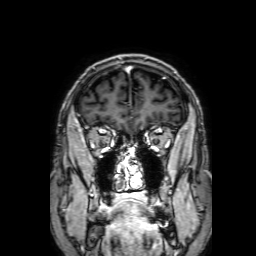
3 Tesla brain MRI.
Series: 3D T1-weighted with SENSE.
Study: ring-enhancing brain masses.